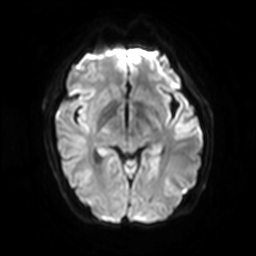
<study>
  <modality>
    <type>brain MRI</type>
    <field_strength>3T</field_strength>
  </modality>
  <series>diffusion-weighted imaging with SENSE (WIP)</series>
  <study_topic>ring-enhancing brain masses</study_topic>
</study>